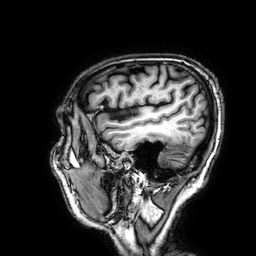
modality=3 Tesla brain MRI | series=3D T1-weighted | study=ring-enhancing brain masses.